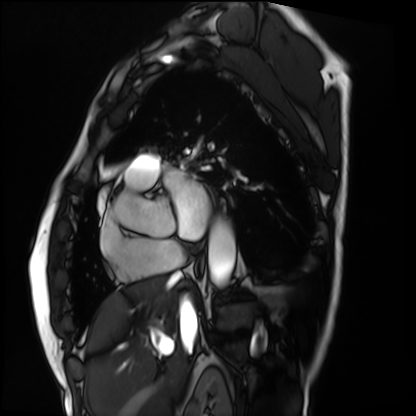
modality: cardiac MRI | subject group: patient.